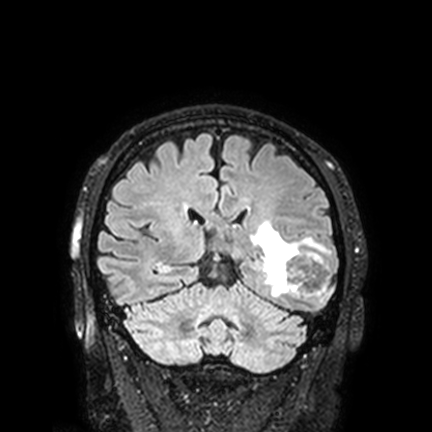
| field | value |
|---|---|
| modality | 3 Tesla brain MRI |
| series | FLAIR VISTA with SENSE |
| study | ring-enhancing brain masses |